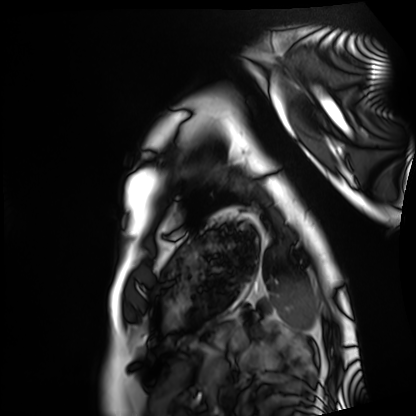
Q: What kind of scan is this?
A: Cardiac MRI.
Subject group: healthy volunteer.